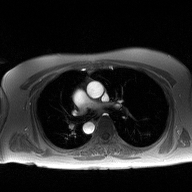
Clinical context: 2D phase-contrast cine MRI of the ascending aorta, high-resolution GRAPPA acquisition.